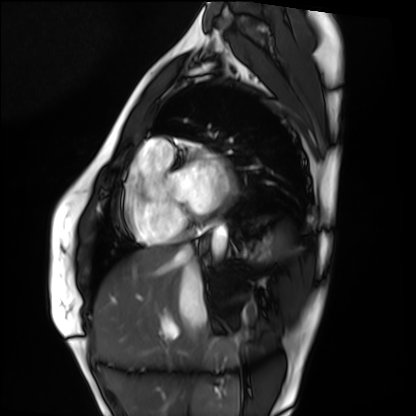
modality: cardiac MRI | subject group: healthy volunteer.